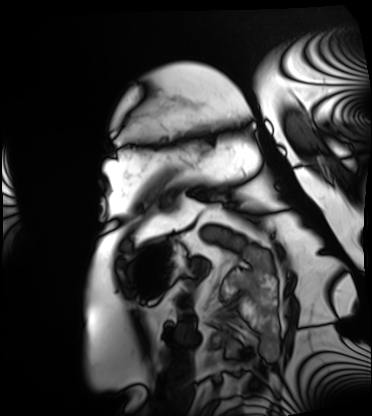
Clinical context: Cardiac MRI. Subject group: patient.